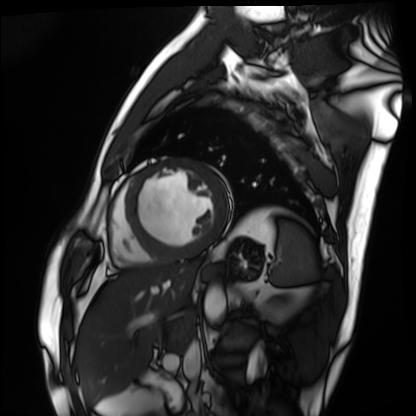
Summary: Cardiac MRI. Subject group: patient.